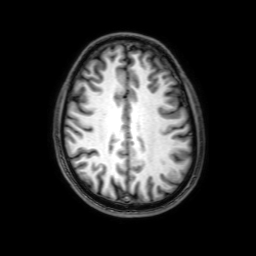
{
  "modality": {
    "type": "brain MRI",
    "field_strength": "3T"
  },
  "series": "3D T1-weighted with SENSE",
  "study_topic": "ring-enhancing brain masses"
}